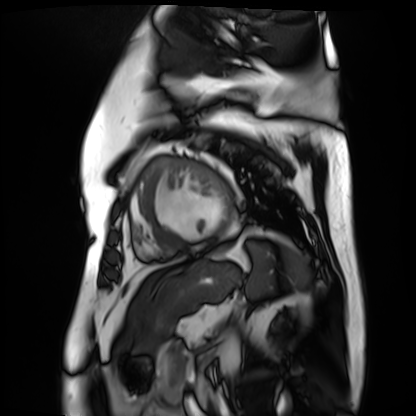
Cardiac MR image of the myocardium. Subject cohort: cardiac patient.